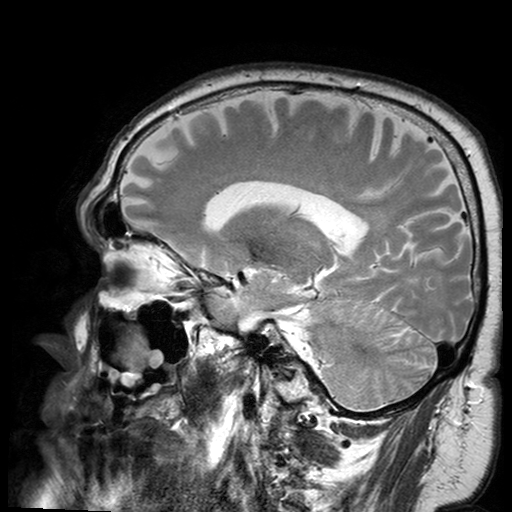
Summary:
3 Tesla brain MRI. Series: T2-weighted turbo spin echo with SENSE. Study: ring-enhancing brain masses.